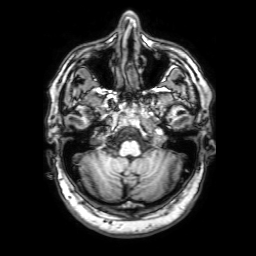
3 Tesla brain MRI. Series: 3D T1-weighted with SENSE. Study: ring-enhancing brain masses.